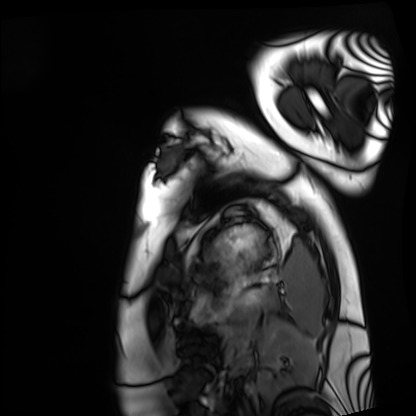
{"modality": "cardiac MRI", "cohort": "healthy volunteer"}